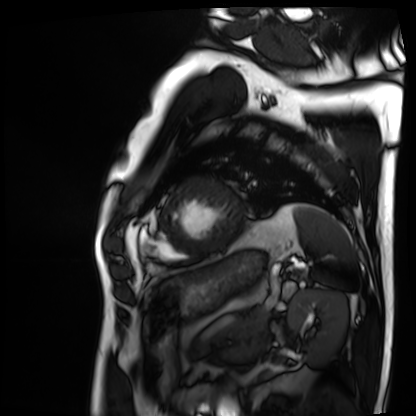
Summary:
Cardiac MRI. Subject group: patient.